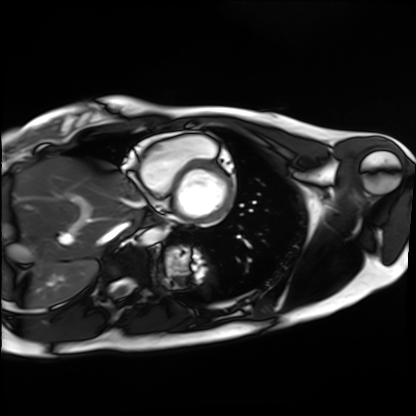
modality = cardiac MRI
subject group = healthy volunteer